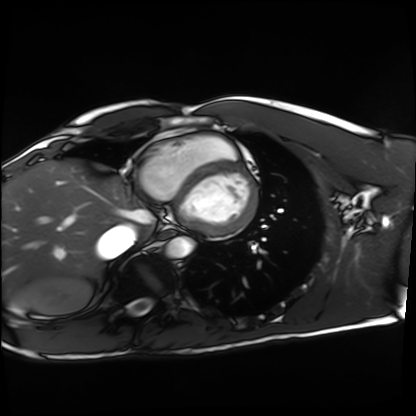
{
  "modality": "cardiac MRI",
  "cohort": "healthy volunteer"
}